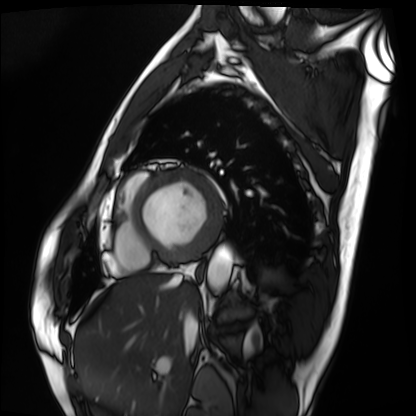
modality — cardiac MRI
subject group — patient